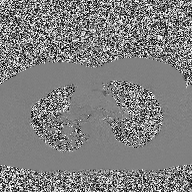
<scan>
  <modality>
    <type>2D phase-contrast cine MRI</type>
    <region>ascending aorta</region>
    <reconstruction>high-resolution GRAPPA acquisition</reconstruction>
  </modality>
</scan>